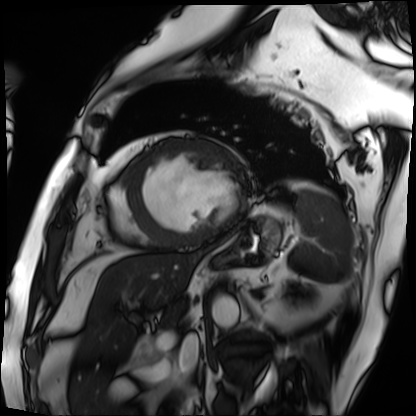
Cardiac MRI.
Subject group: patient.